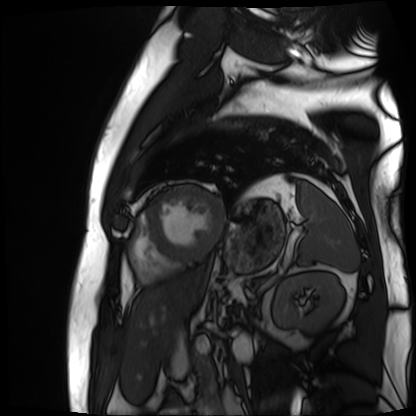
Cardiac MR image of the myocardium. Subject cohort: cardiac patient.